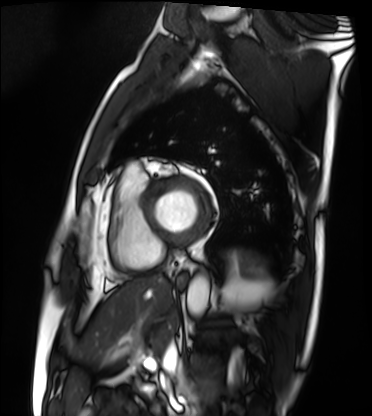
Clinical context:
Cardiac MRI. Subject group: patient.